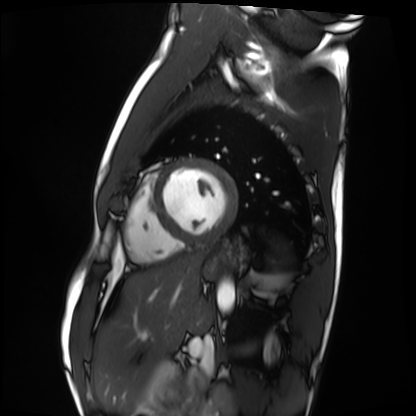
Case summary: Cardiac MRI. Subject group: healthy volunteer.